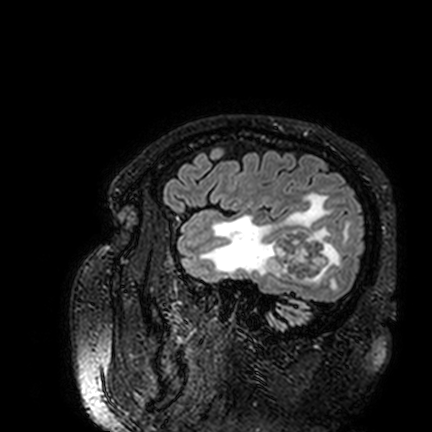
3 Tesla brain MRI.
Series: FLAIR VISTA.
Study: ring-enhancing brain masses.